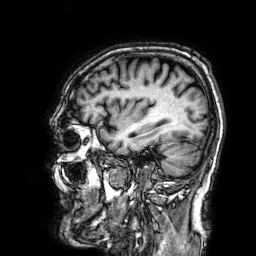
modality = 3 Tesla brain MRI | series = 3D T1-weighted | study = ring-enhancing brain masses.